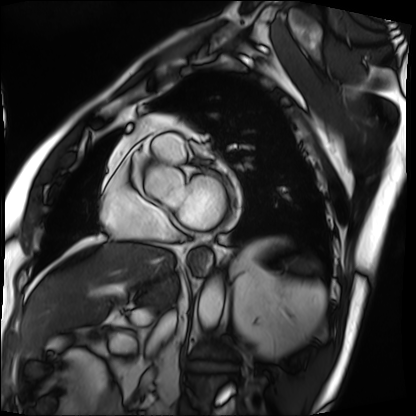
Clinical context: Cardiac MRI. Subject group: patient.